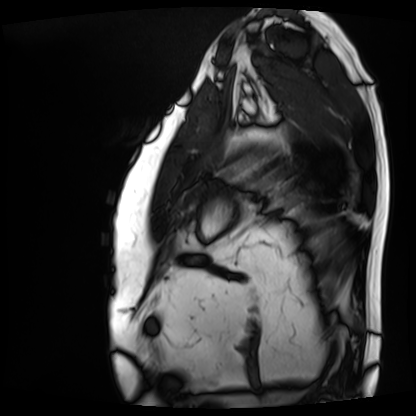
Cardiac MRI.
Subject group: patient.